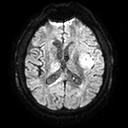
Case summary: 3 Tesla brain MRI. Series: diffusion tensor imaging (medium iso). Study: ring-enhancing brain masses.